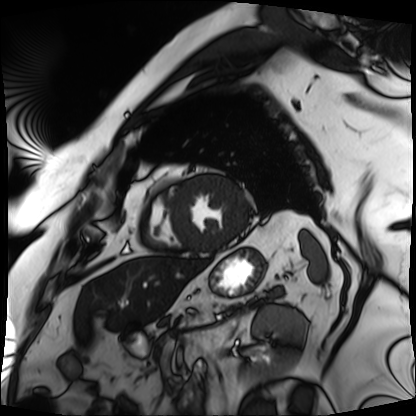
modality=cardiac MRI | subject group=patient.